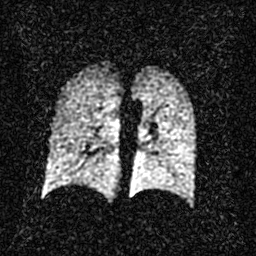
Summary:
Hyperpolarized 129Xe ventilation MRI of the lungs. SNR level 2 of 8 (the deposit holds this scan as its native image and as seven SNR-degraded versions).